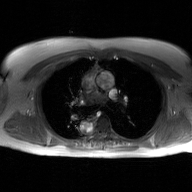
2D phase-contrast cine MRI of the ascending aorta, GAN super-resolution reconstruction.